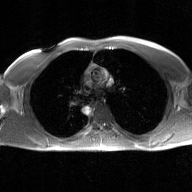
2D phase-contrast cine MRI of the ascending aorta, GAN super-resolution reconstruction.